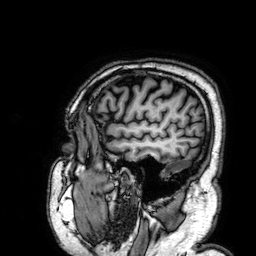
3 Tesla brain MRI.
Series: 3D T1-weighted.
Study: ring-enhancing brain masses.